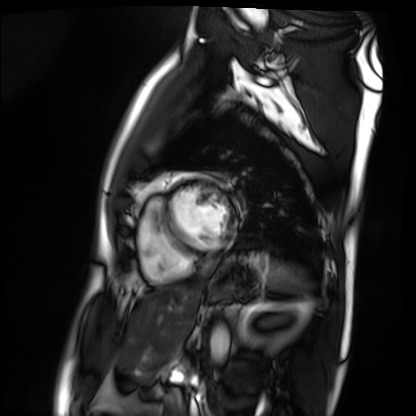
Cardiac MRI. Subject group: patient.